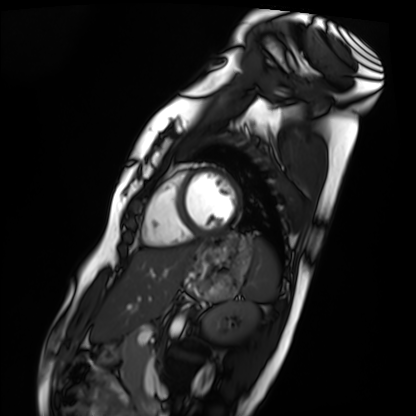
Case:
* modality · cardiac MRI
* subject group · healthy volunteer